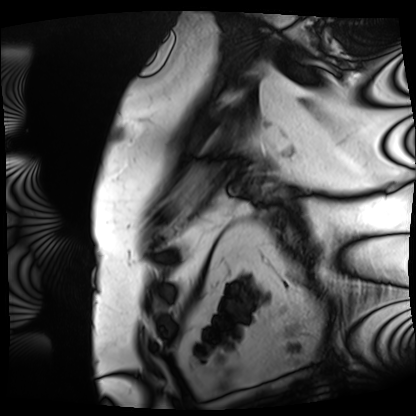
{
  "modality": "cardiac MRI",
  "cohort": "patient"
}